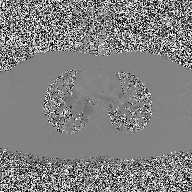
Case:
• modality · 2D phase-contrast cine MRI of the ascending aorta